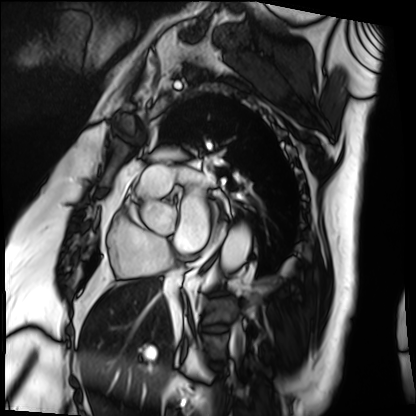
Case summary: Cardiac MRI. Subject group: patient.